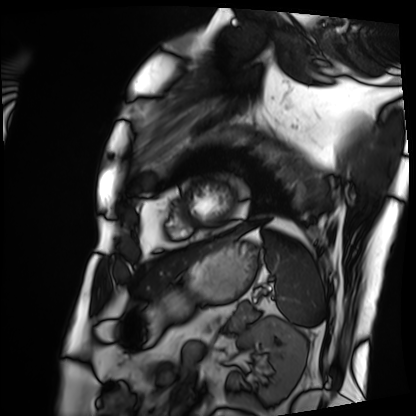
modality: cardiac MRI; subject group: patient.